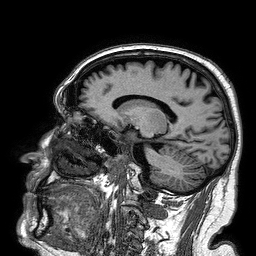
3 Tesla brain MRI. Series: 3D T1-weighted turbo field echo. Study: ring-enhancing brain masses.